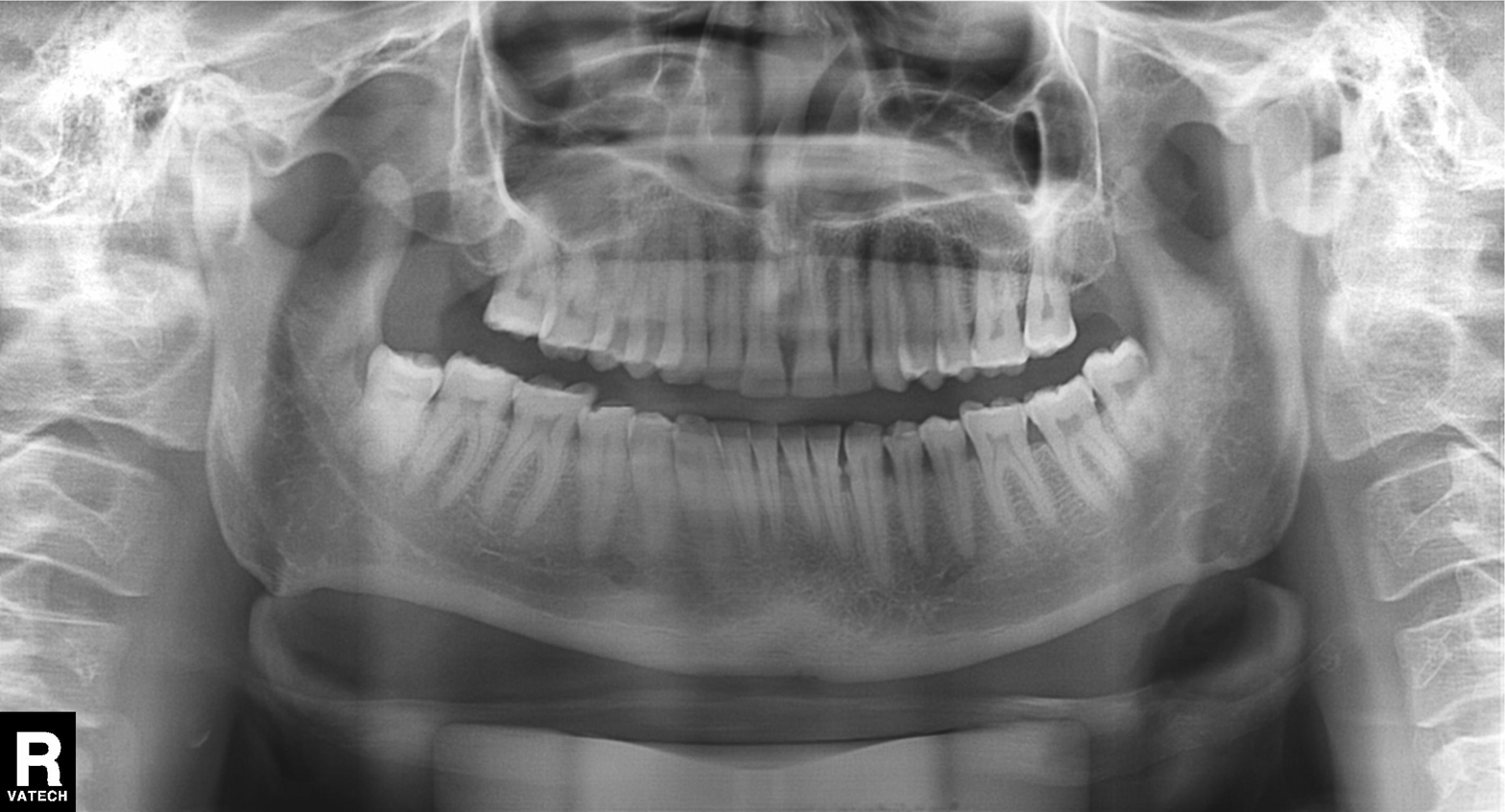
Panoramic dental radiograph (orthopantomogram). Finding: tooth impaction.